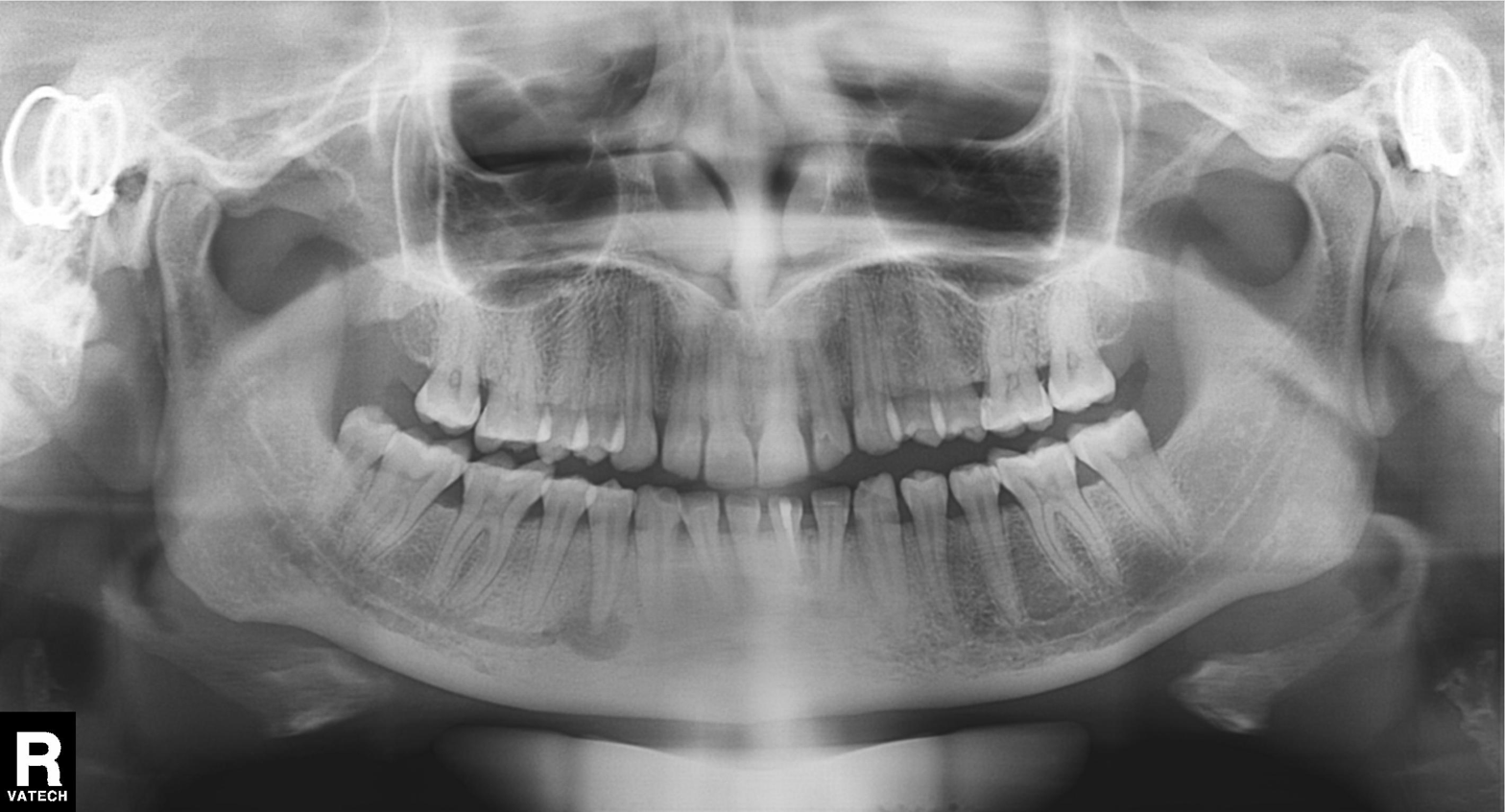
| feature | finding |
|---|---|
| modality | panoramic dental radiograph (orthopantomogram) |
| finding | tooth impaction |